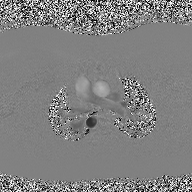
Summary:
2D phase-contrast cine MRI of the ascending aorta, high-resolution GRAPPA acquisition.